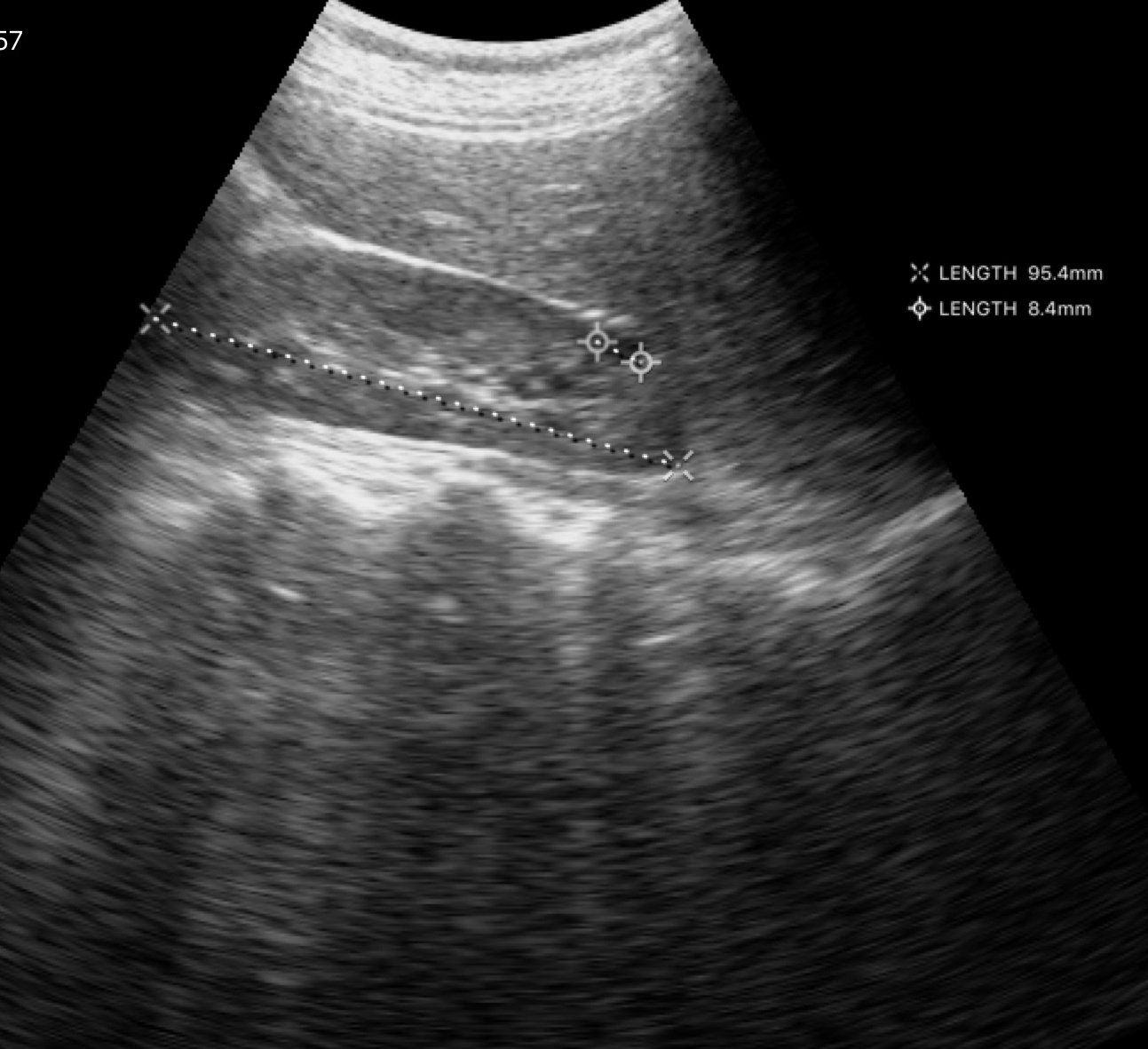
Summary: Genitourinary ultrasound.